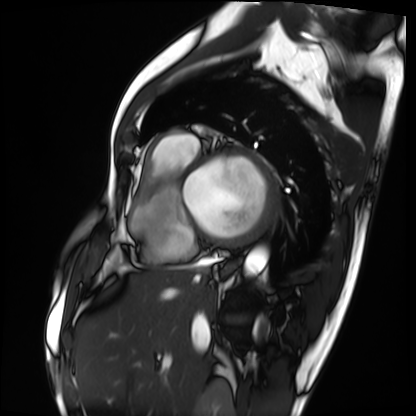
modality=cardiac MRI
subject group=patient